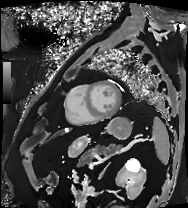
modality = cardiac MRI | subject group = patient.